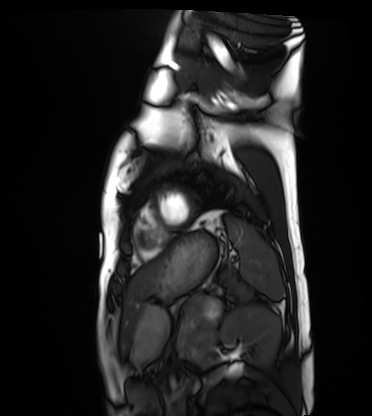
Q: What kind of scan is this?
A: Cardiac MRI.
Subject group: healthy volunteer.